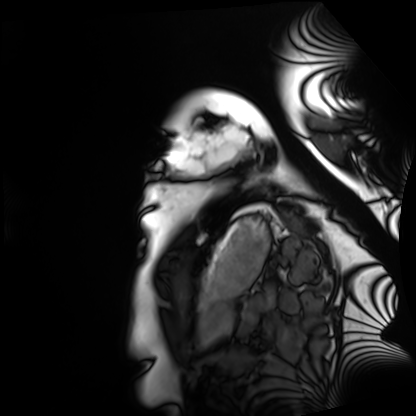
Cardiac MRI. Subject group: healthy volunteer.